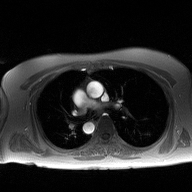
modality:
  type: 2D phase-contrast cine MRI
  region: ascending aorta
  reconstruction: high-resolution GRAPPA acquisition